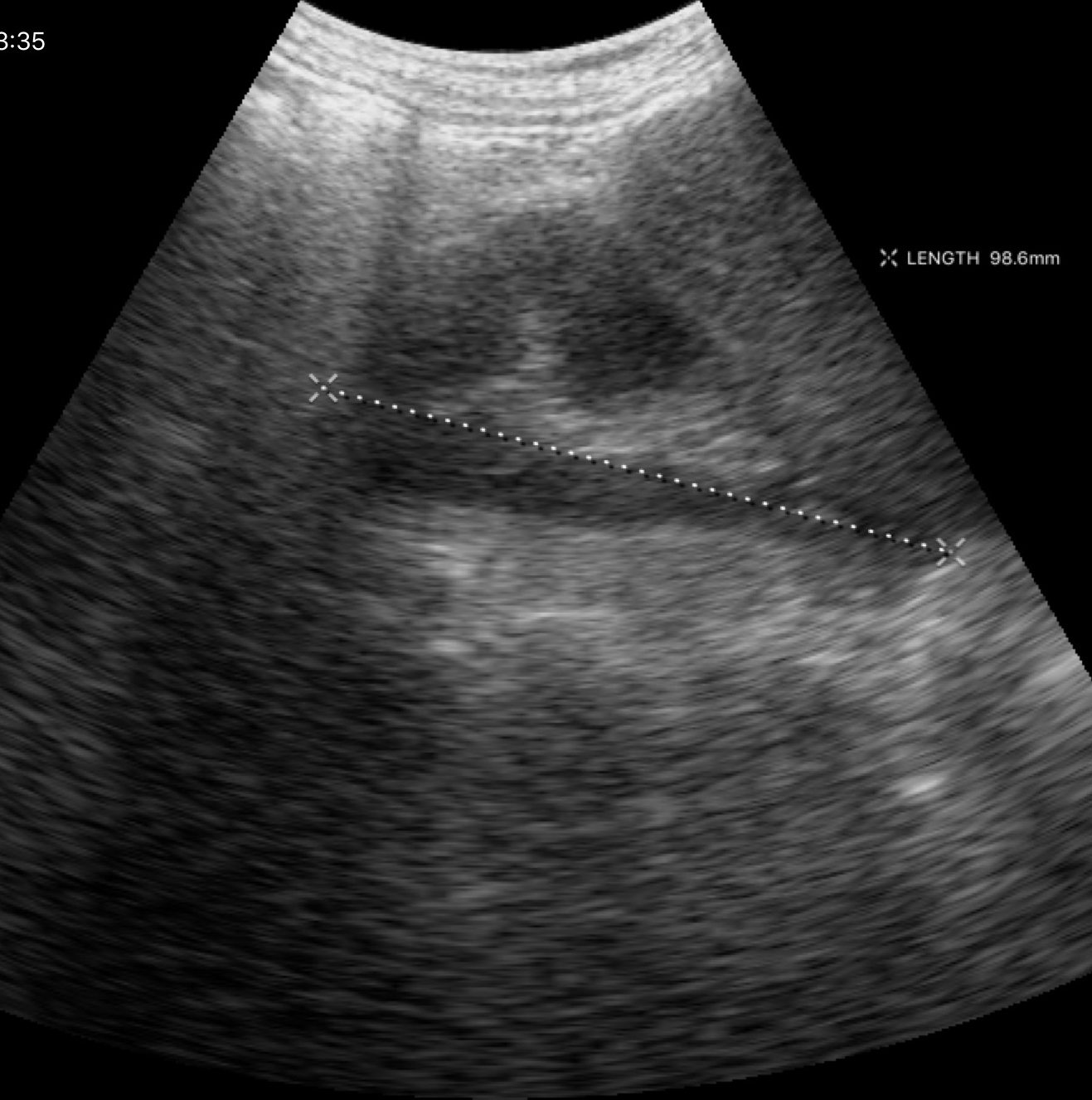
Summary: Genitourinary ultrasound.